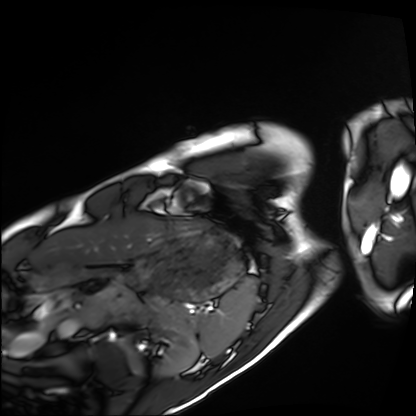
modality: cardiac MRI; subject group: healthy volunteer.